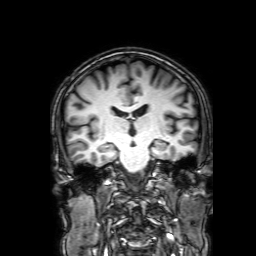
modality: 3 Tesla brain MRI; series: 3D T1-weighted with SENSE; study: ring-enhancing brain masses.